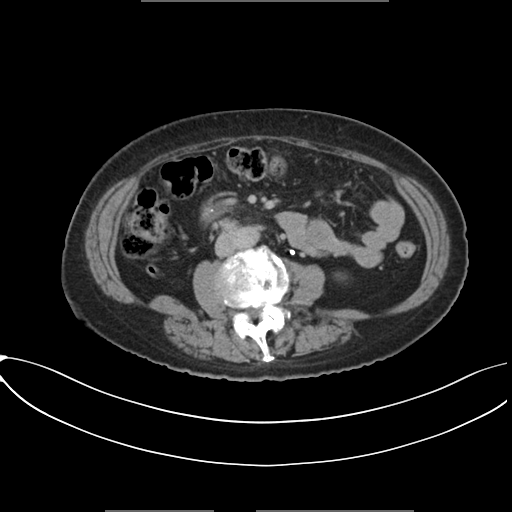
modality: multiphase abdominal CT, liver, delayed phase; patient: female, age 74.